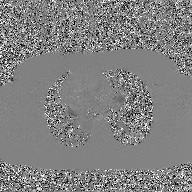
modality — 2D phase-contrast cine MRI of the ascending aorta, GAN super-resolution reconstruction.